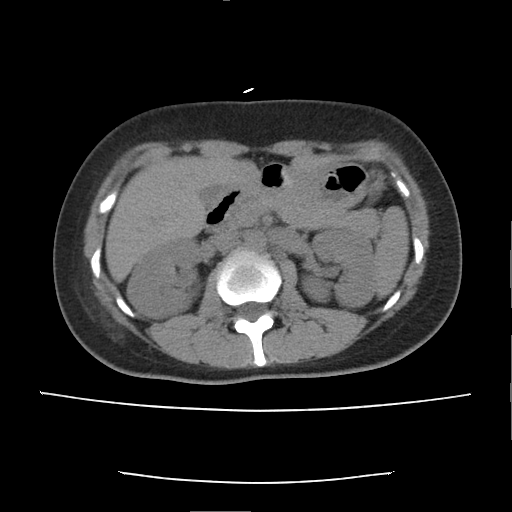
Multiphase abdominal CT, liver, non-contrast phase. Patient: female, age 38. History: prior chemotherapy.